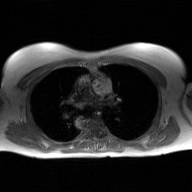
2D phase-contrast cine MRI of the ascending aorta, GAN super-resolution reconstruction.